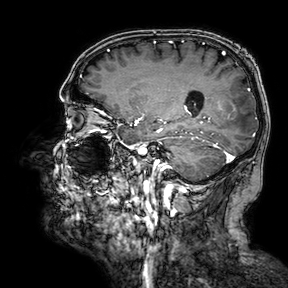
3 Tesla brain MRI.
Series: 3D T1-weighted turbo field echo with SENSE.
Study: ring-enhancing brain masses.